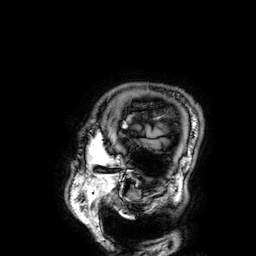
| field | value |
|---|---|
| modality | 3 Tesla brain MRI |
| series | 3D T1-weighted |
| study | ring-enhancing brain masses |